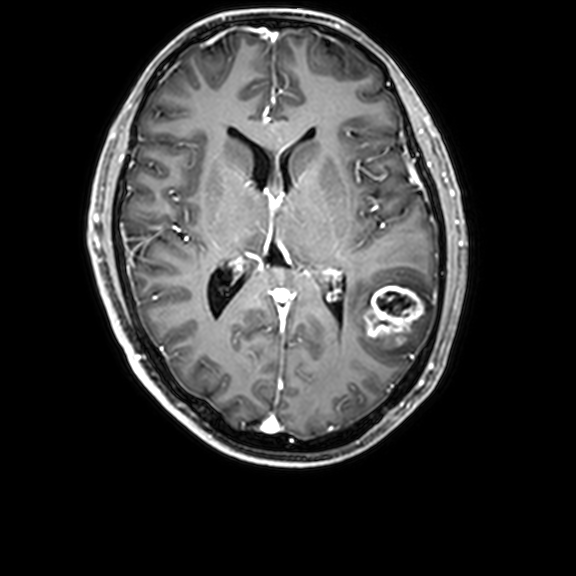
modality=3 Tesla brain MRI | series=3D T1-weighted with CLEAR | study=ring-enhancing brain masses.